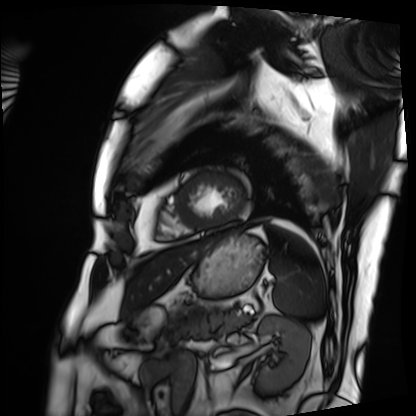
Case summary: Cardiac MRI. Subject group: patient.